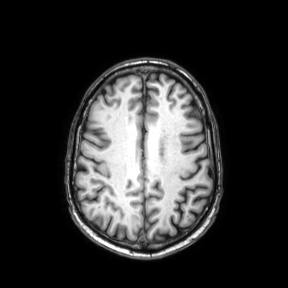
Q: What kind of scan is this?
A: 3 Tesla brain MRI.
Q: Series?
A: Axial.
Study: ring-enhancing brain masses.